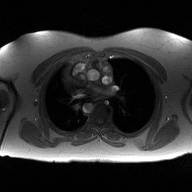
{
  "modality": {
    "type": "2D phase-contrast cine MRI",
    "region": "ascending aorta",
    "reconstruction": "high-resolution GRAPPA acquisition"
  }
}